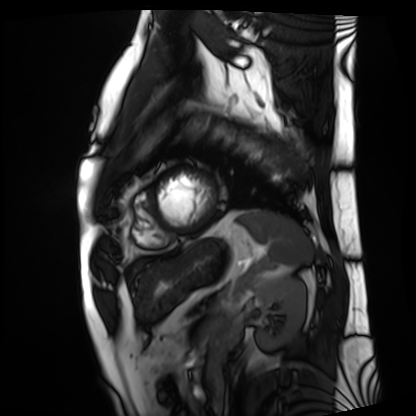
{"modality": "cardiac MRI", "cohort": "patient"}